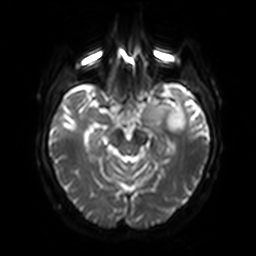
Case summary:
3 Tesla brain MRI. Series: diffusion-weighted imaging with SENSE (WIP). Study: ring-enhancing brain masses.